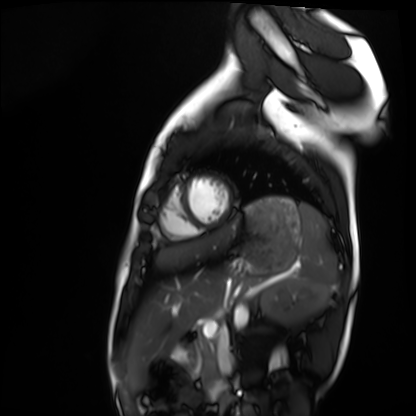
– modality — cardiac MRI
– subject group — healthy volunteer